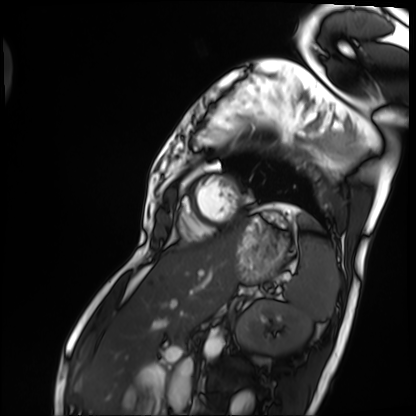
Cardiac MRI. Subject group: patient.